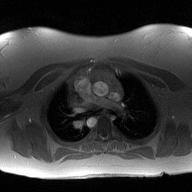
Clinical context: 2D phase-contrast cine MRI of the ascending aorta, high-resolution GRAPPA acquisition.